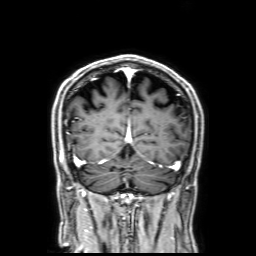
- modality — 3 Tesla brain MRI
- series — 3D T1-weighted with SENSE
- study — ring-enhancing brain masses